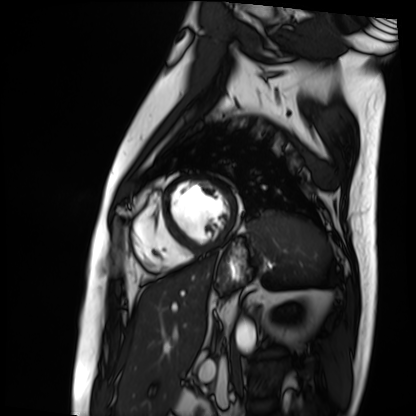
Cardiac MRI. Subject group: patient.